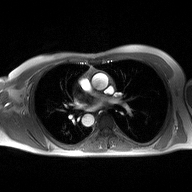
| field | value |
|---|---|
| modality | 2D phase-contrast cine MRI of the ascending aorta |